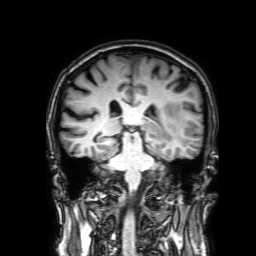
| field | value |
|---|---|
| modality | 3 Tesla brain MRI |
| series | 3D T1-weighted with SENSE |
| study | ring-enhancing brain masses |